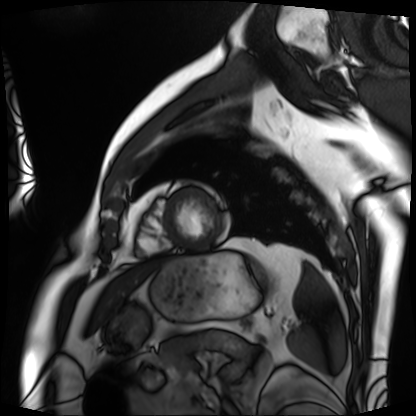
| field | value |
|---|---|
| modality | cardiac MRI |
| subject group | patient |